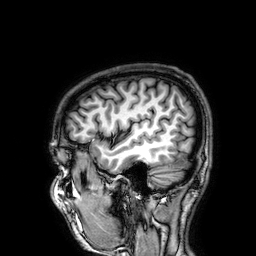
3 Tesla brain MRI.
Series: 3D T1-weighted.
Study: ring-enhancing brain masses.